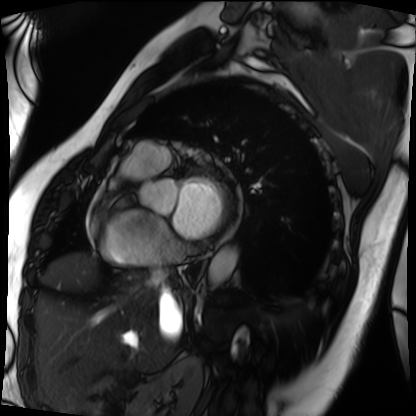
Summary: Cardiac MRI. Subject group: patient.